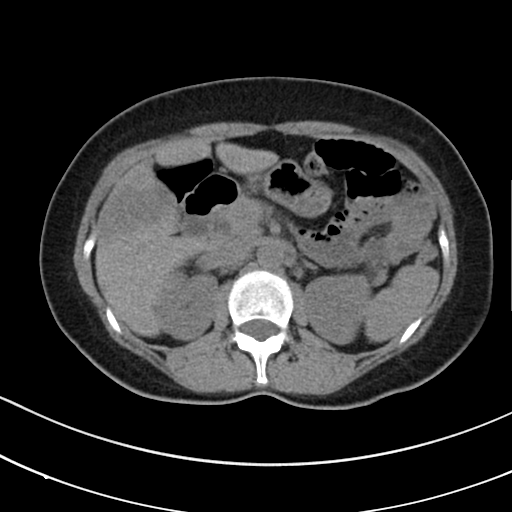
| field | value |
|---|---|
| modality | multiphase abdominal CT, liver, non-contrast phase |
| patient | female, age 53 |